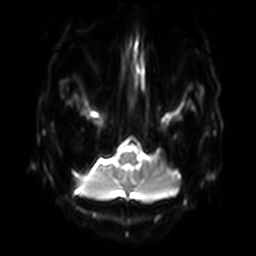
3 Tesla brain MRI. Series: diffusion-weighted imaging with SENSE (WIP). Study: ring-enhancing brain masses.